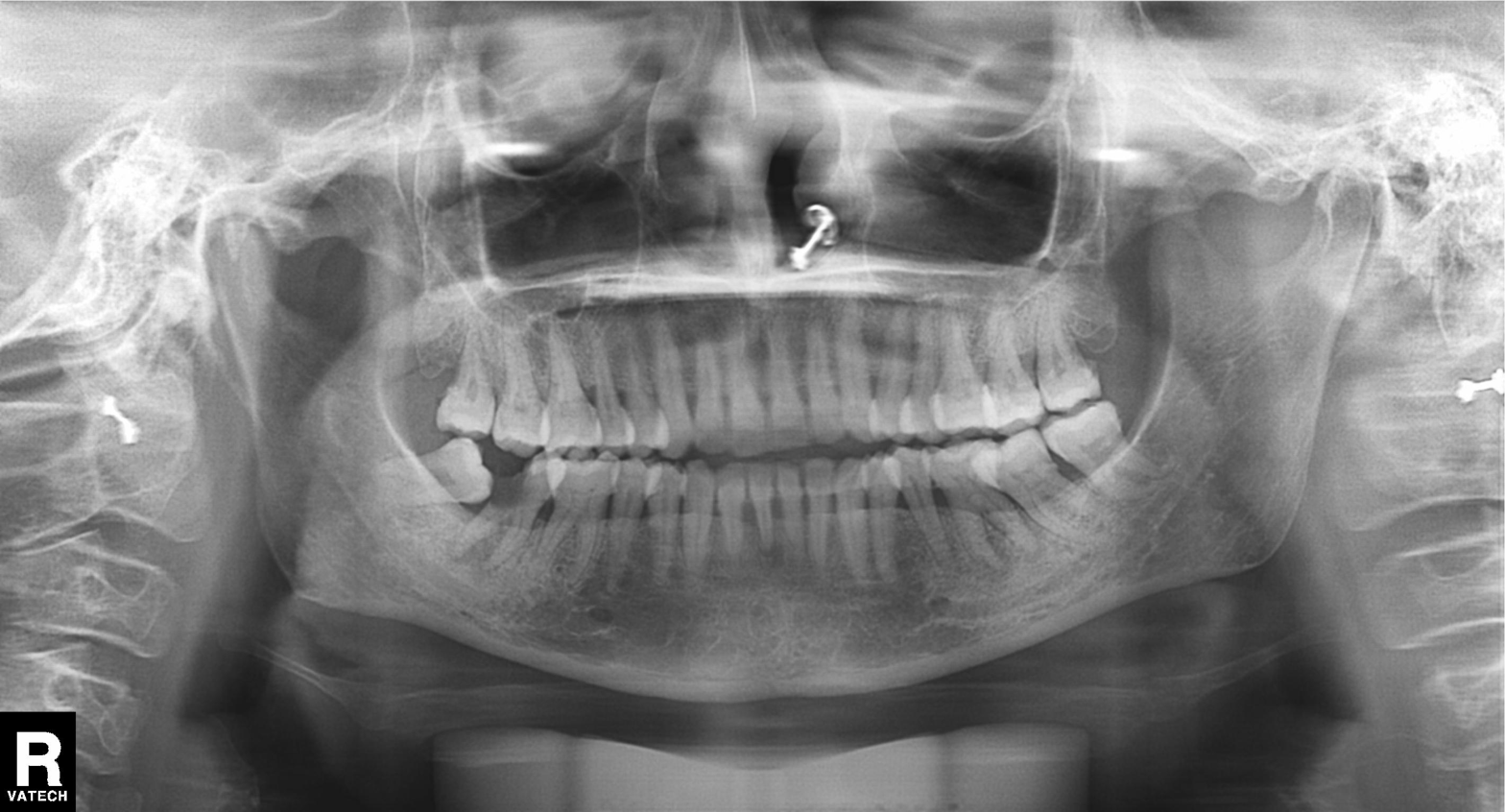
Summary: Panoramic dental radiograph (orthopantomogram).
Impression: Tooth impaction.